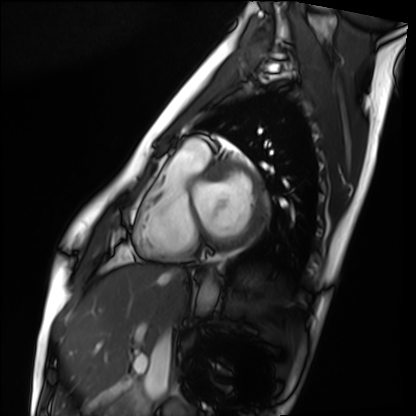
Cardiac MRI. Subject group: healthy volunteer.